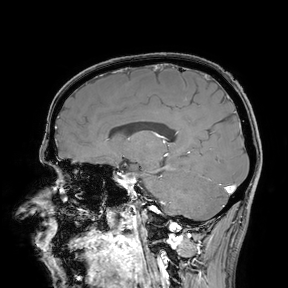
Case summary:
3 Tesla brain MRI. Study: ring-enhancing brain masses.